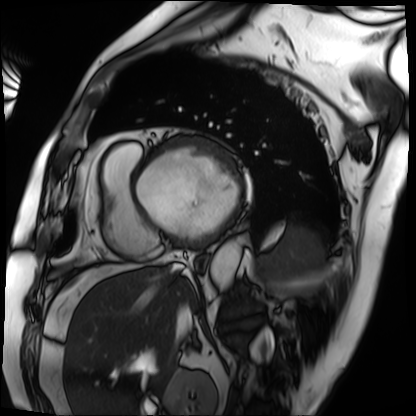
Summary: Cardiac MRI. Subject group: patient.